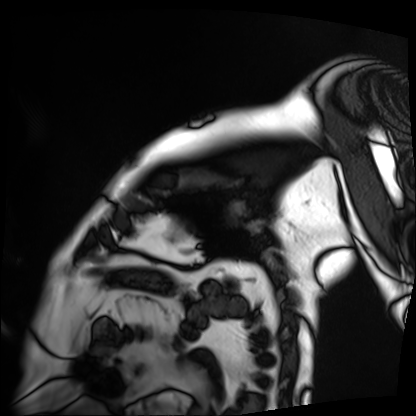
Cardiac MRI.
Subject group: patient.